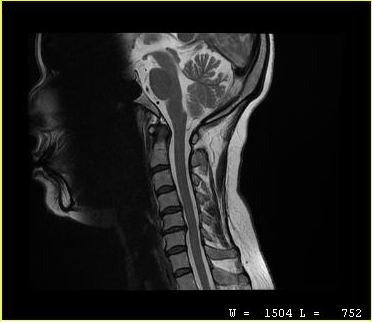
MRI of the cervical spine. Study: cervical spondylosis.